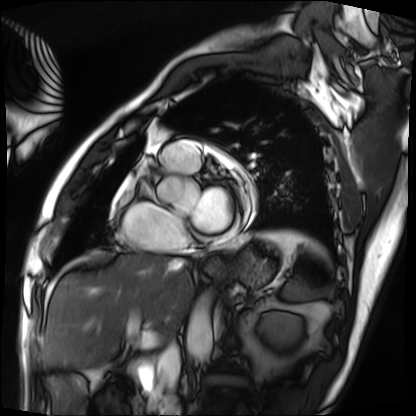
{
  "modality": "cardiac MRI",
  "cohort": "patient"
}